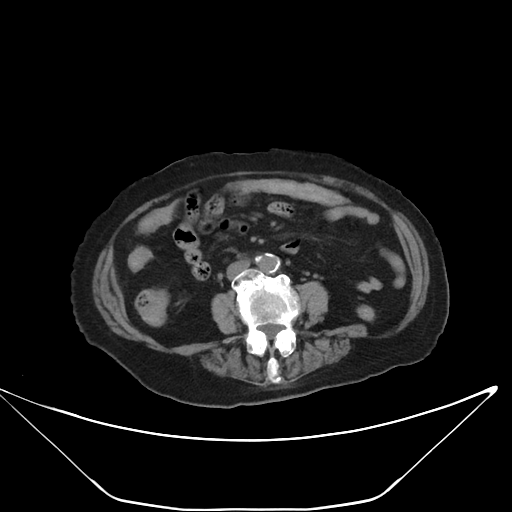
Summary: Multiphase abdominal CT, liver, non-contrast phase. Patient: female, age 86.